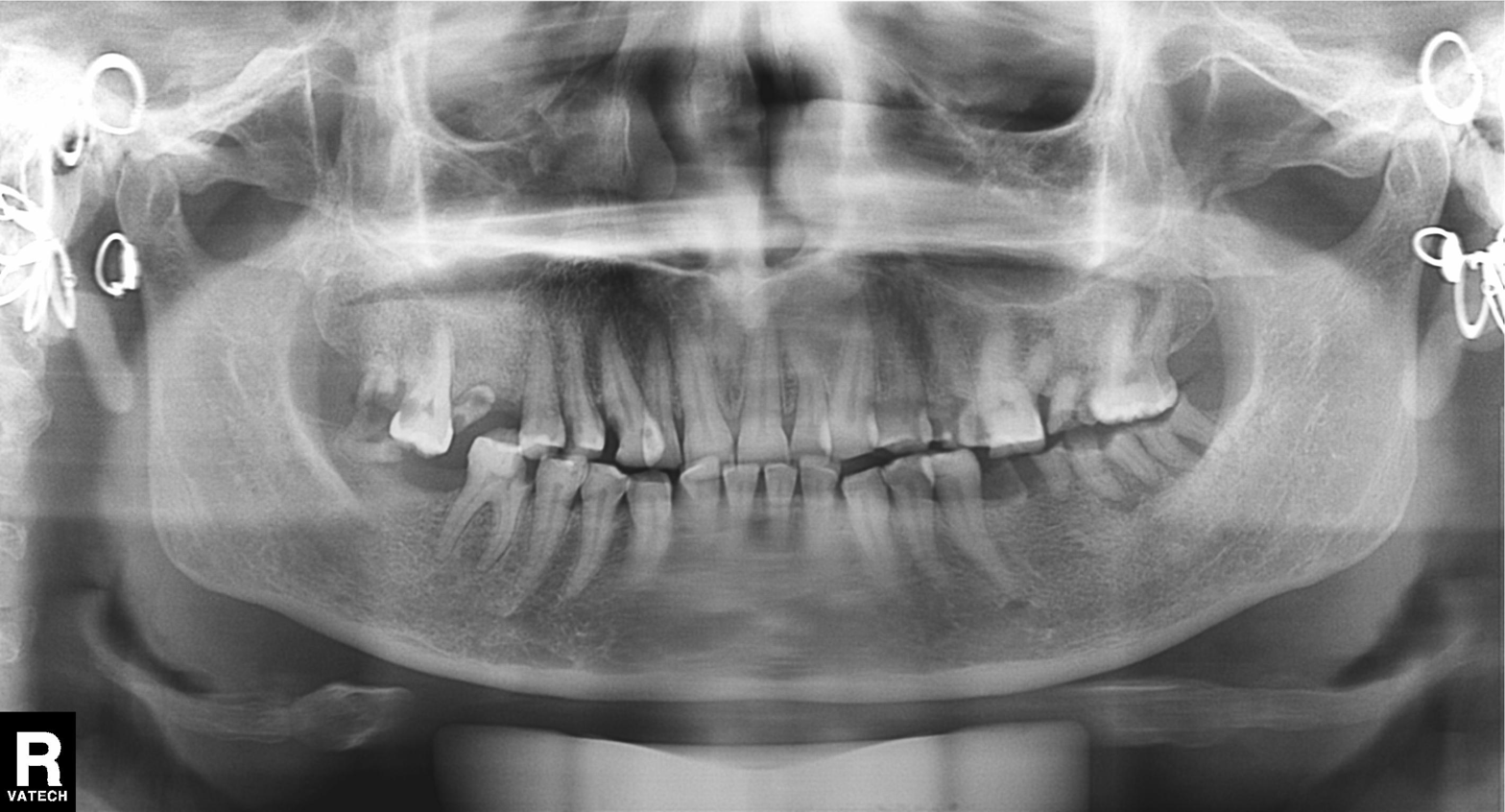
modality = panoramic dental radiograph (orthopantomogram) | finding = tooth impaction.